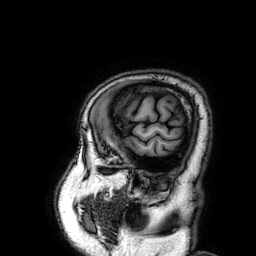
| field | value |
|---|---|
| modality | 3 Tesla brain MRI |
| series | 3D T1-weighted |
| study | ring-enhancing brain masses |